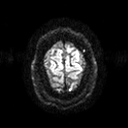
Summary:
3 Tesla brain MRI. Series: diffusion tensor imaging (medium iso). Study: ring-enhancing brain masses.